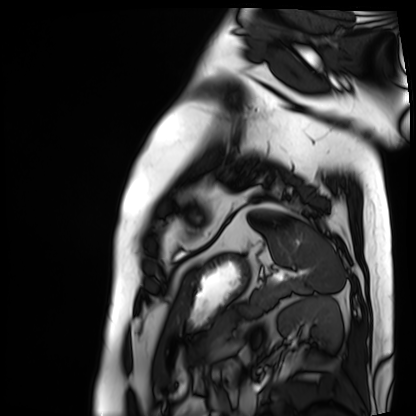
{"modality": "cardiac MRI", "cohort": "patient"}